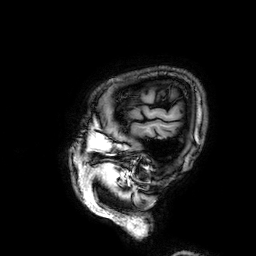
Summary: 3 Tesla brain MRI. Series: 3D T1-weighted. Study: ring-enhancing brain masses.